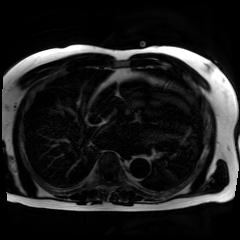
• modality · chemical-shift-encoded cardiac MRI